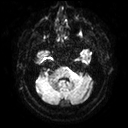
- modality · 3 Tesla brain MRI
- series · diffusion tensor imaging (medium iso)
- study · ring-enhancing brain masses